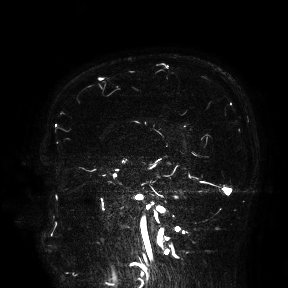
modality: 3 Tesla brain MRI
study: ring-enhancing brain masses